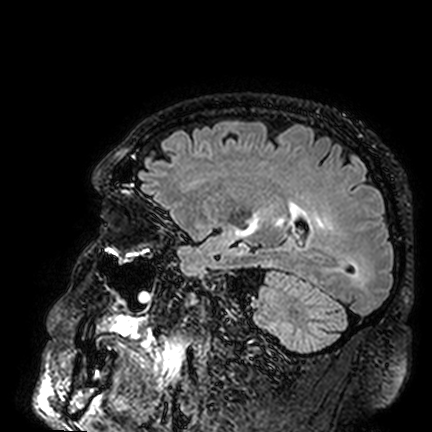
Case:
* modality: 3 Tesla brain MRI
* series: FLAIR VISTA
* study: ring-enhancing brain masses